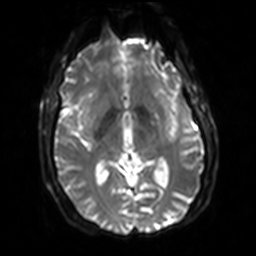
3 Tesla brain MRI.
Series: diffusion-weighted imaging with SENSE (WIP).
Study: ring-enhancing brain masses.